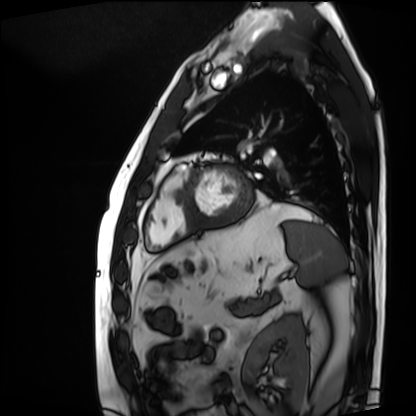
| field | value |
|---|---|
| modality | cardiac MRI |
| subject group | patient |